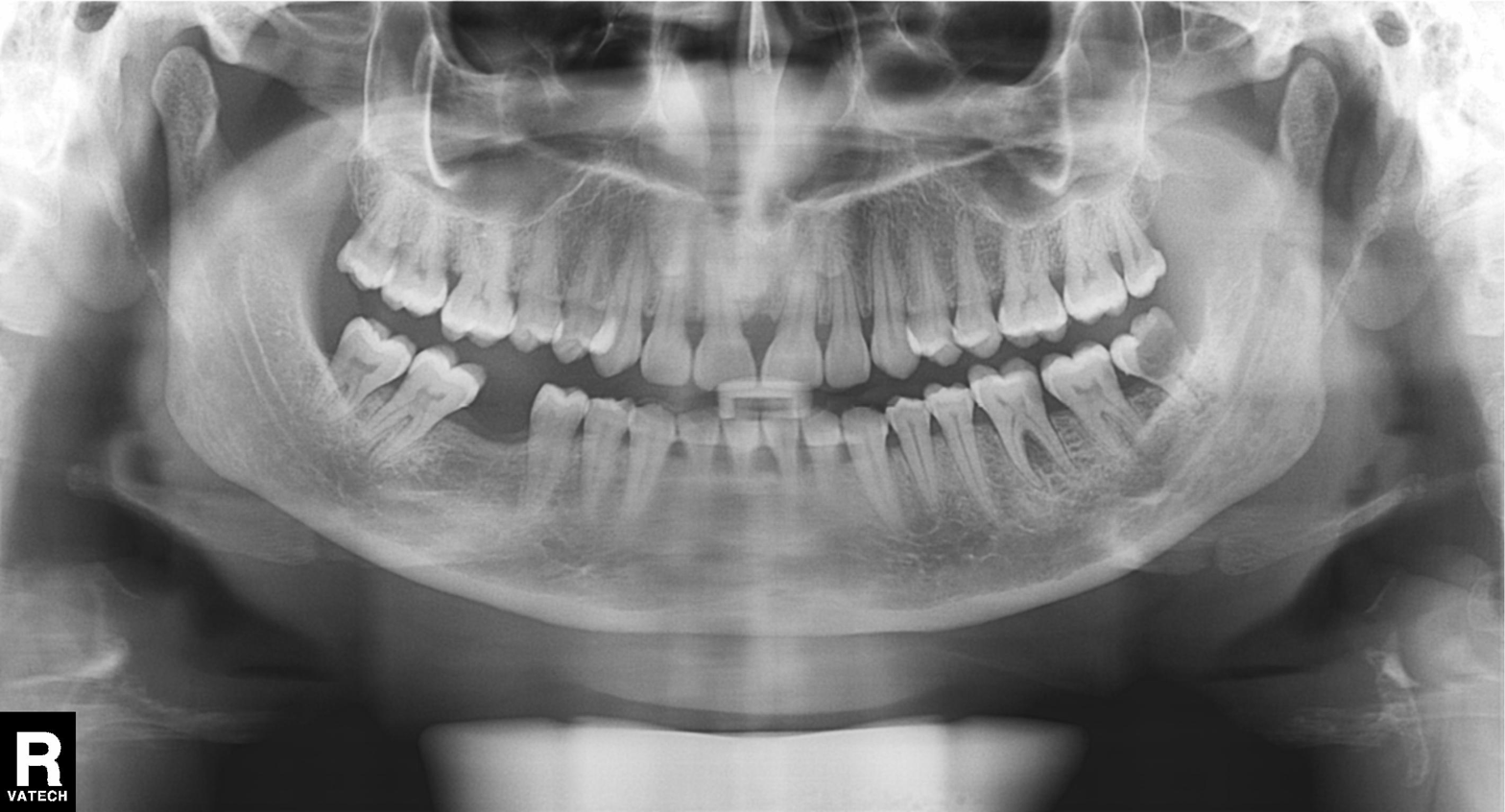
Panoramic dental radiograph (orthopantomogram). Finding: tooth impaction.